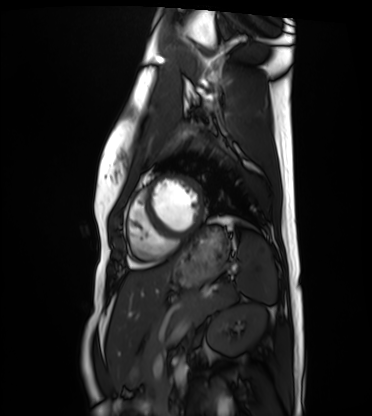
Cardiac MRI. Subject group: healthy volunteer.